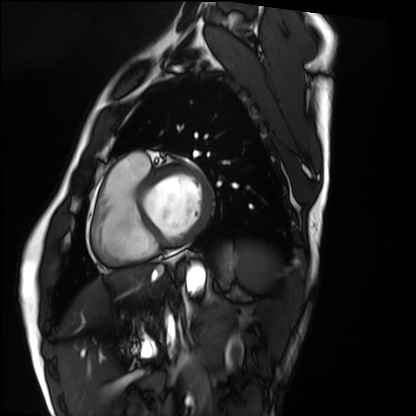
{"modality": "cardiac MRI", "cohort": "healthy volunteer"}